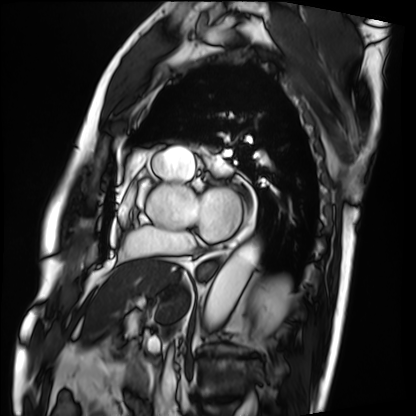
modality: cardiac MRI; subject group: patient.